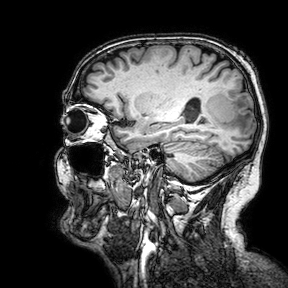
3 Tesla brain MRI.
Series: 3D T1-weighted turbo field echo with SENSE.
Study: ring-enhancing brain masses.